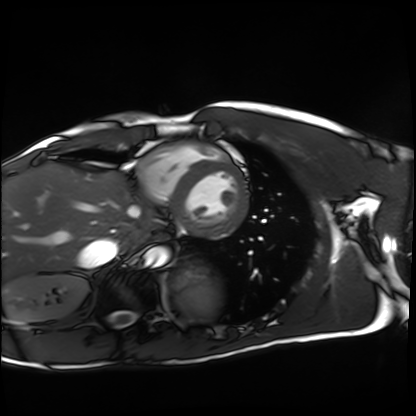
Summary: Cardiac MRI. Subject group: healthy volunteer.